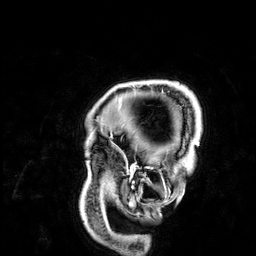
modality = 3 Tesla brain MRI; series = 3D T1-weighted; study = ring-enhancing brain masses.